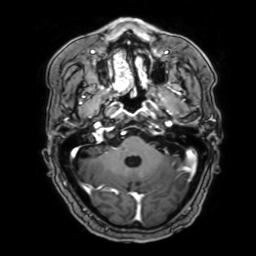
– modality — 3 Tesla brain MRI
– series — 3D T1-weighted with SENSE
– study — ring-enhancing brain masses